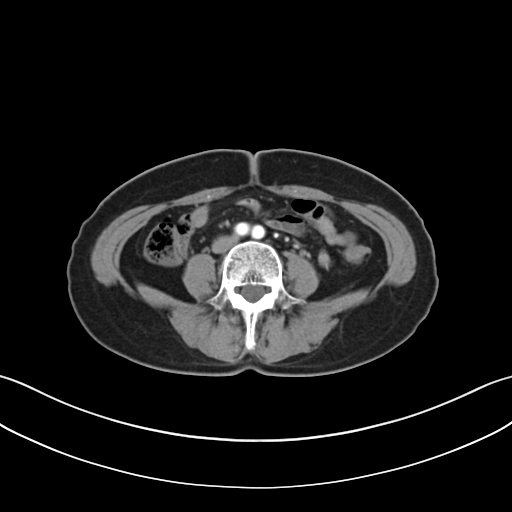
{
  "modality": {
    "type": "multiphase abdominal CT",
    "region": "liver",
    "phase": "arterial"
  },
  "patient": {
    "sex": "female",
    "age": 58
  }
}